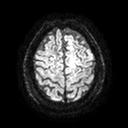
| field | value |
|---|---|
| modality | 3 Tesla brain MRI |
| series | diffusion tensor imaging (medium iso) |
| study | ring-enhancing brain masses |